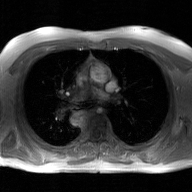
Case:
- modality — 2D phase-contrast cine MRI of the ascending aorta, GAN super-resolution reconstruction